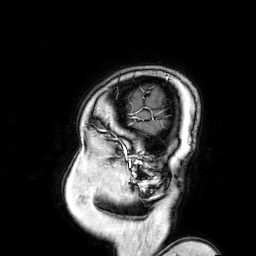
<scan>
  <modality>
    <type>brain MRI</type>
    <field_strength>3T</field_strength>
  </modality>
  <series>3D T1-weighted turbo field echo with SENSE</series>
  <study_topic>ring-enhancing brain masses</study_topic>
</scan>